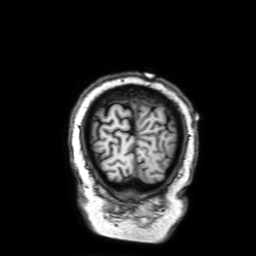
Summary:
3 Tesla brain MRI. Series: 3D T1-weighted with SENSE. Study: ring-enhancing brain masses.